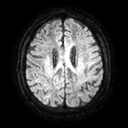
<study>
  <modality>
    <type>brain MRI</type>
    <field_strength>3T</field_strength>
  </modality>
  <series>diffusion tensor imaging (medium iso)</series>
  <study_topic>ring-enhancing brain masses</study_topic>
</study>